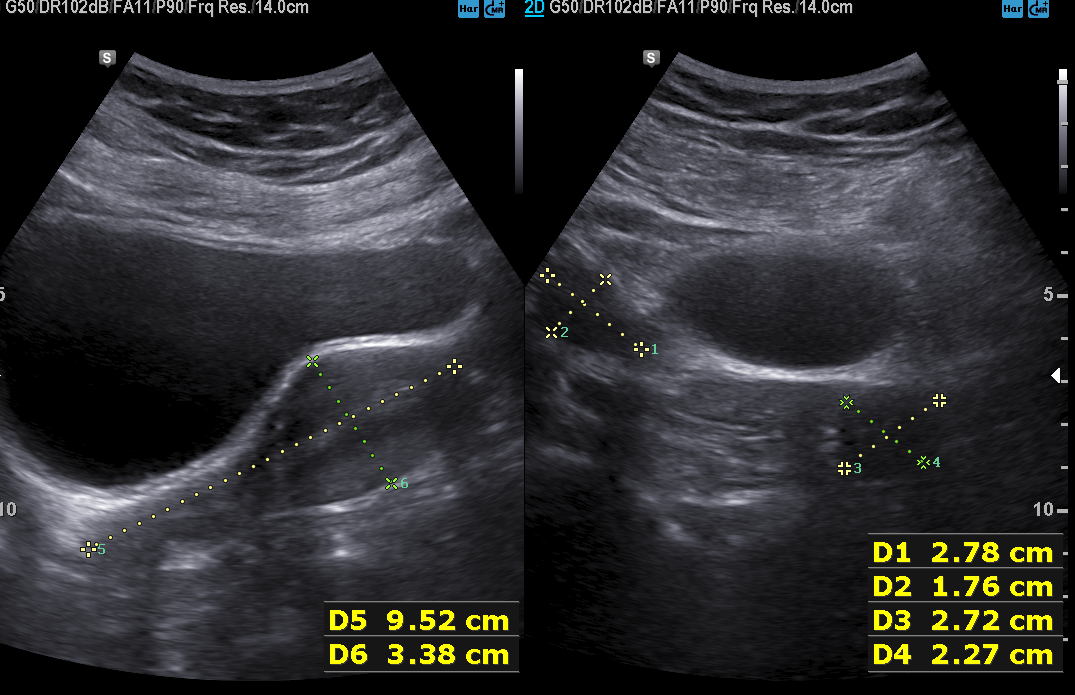
– modality — genitourinary ultrasound